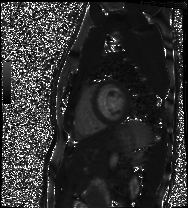
modality — cardiac MRI | subject group — healthy volunteer.